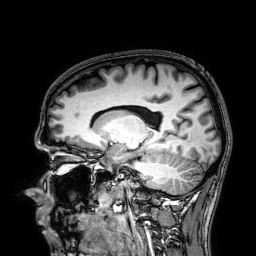
Q: What kind of scan is this?
A: 3 Tesla brain MRI.
Q: Series?
A: 3D T1-weighted.
Study: ring-enhancing brain masses.